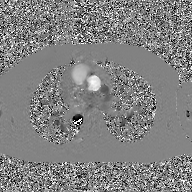
2D phase-contrast cine MRI of the ascending aorta, GAN super-resolution reconstruction.